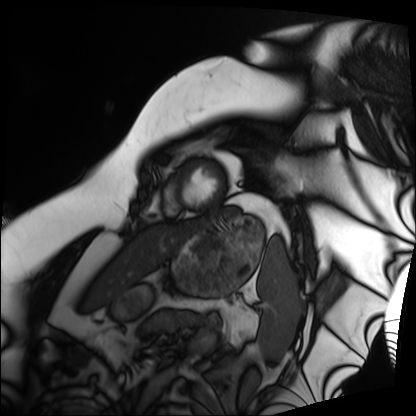
Cardiac MRI.
Subject group: patient.